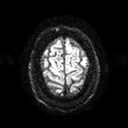
modality=3 Tesla brain MRI | series=diffusion tensor imaging (medium iso) | study=ring-enhancing brain masses.